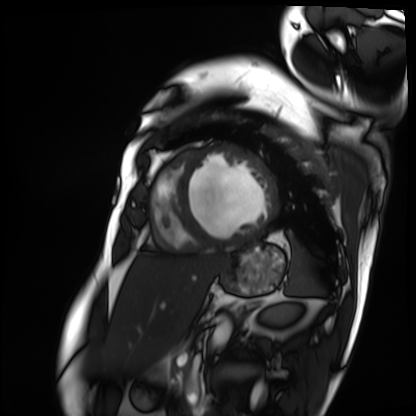
modality: cardiac MRI; subject group: patient.